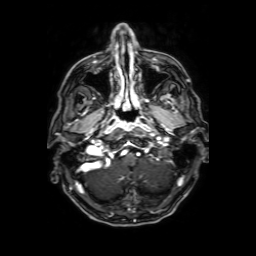
Q: What kind of scan is this?
A: 3 Tesla brain MRI.
Q: Series?
A: Axial T1-weighted fusion image.
Study: ring-enhancing brain masses.